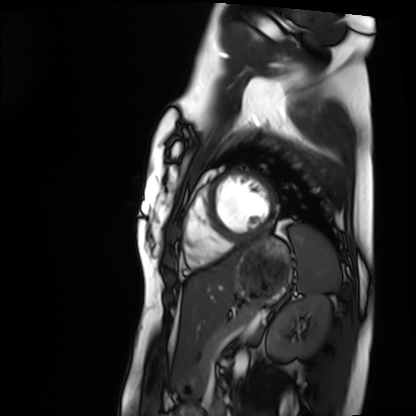
Q: What kind of scan is this?
A: Cardiac MRI.
Subject group: healthy volunteer.